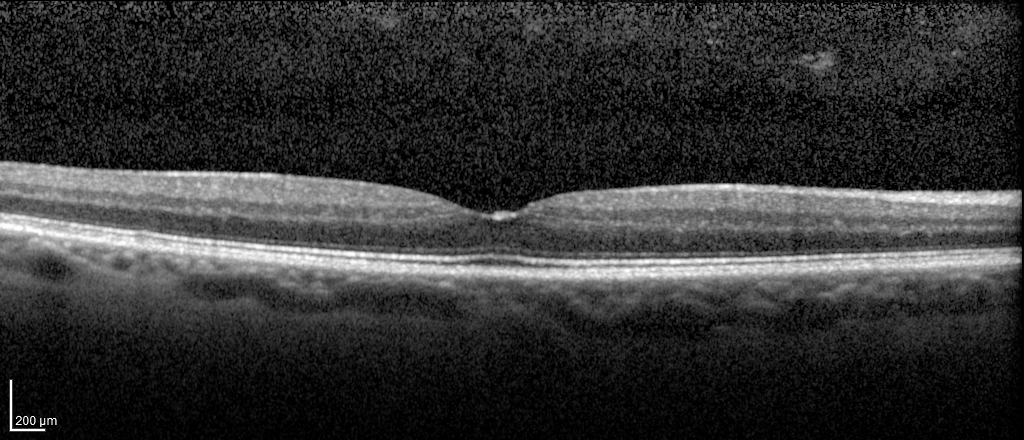
Findings:
• modality: spectral-domain optical coherence tomography (SD-OCT) of the macula
• subject: male, age 66, right eye
• cohort: diabetic subject
• ETDRS-grid retinal thickness (μm): central 308, inner temporal 340, inner nasal 348, inner superior 339, inner inferior 343, outer temporal 285, outer nasal 300, outer superior 293, outer inferior 295